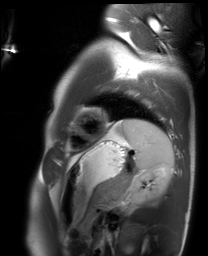
modality: cardiac MRI, subject group: healthy volunteer.